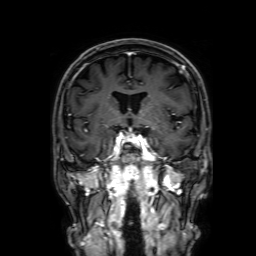
Case:
– modality · 3 Tesla brain MRI
– series · 3D T1-weighted with SENSE
– study · ring-enhancing brain masses